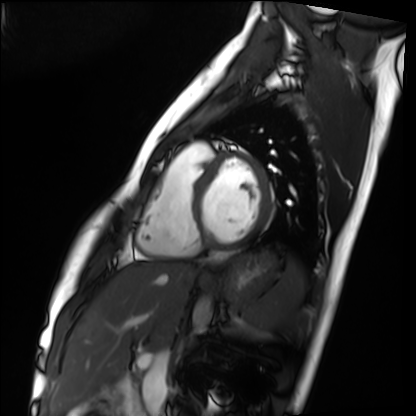
• modality · cardiac MRI
• subject group · healthy volunteer